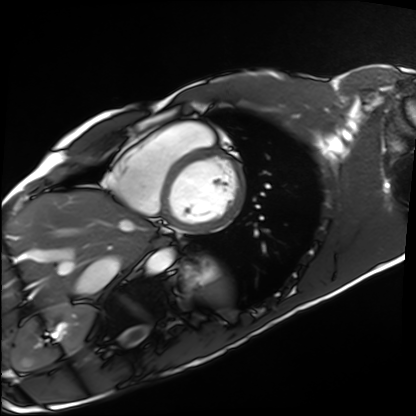
Cardiac MRI.
Subject group: healthy volunteer.